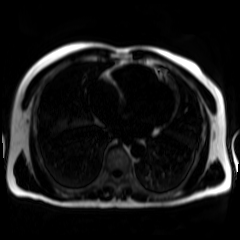
Case summary: Chemical-shift-encoded cardiac MRI.